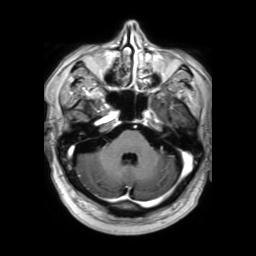
modality: 3 Tesla brain MRI
series: 3D T1-weighted TFE with SENSE
study: ring-enhancing brain masses